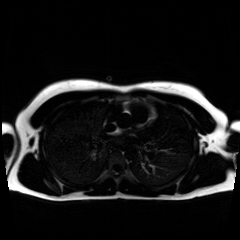
  modality: chemical-shift-encoded cardiac MRI